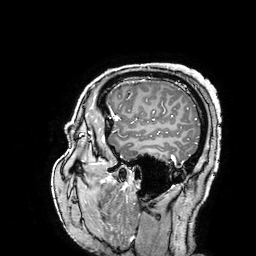
3 Tesla brain MRI. Series: 3D T1-weighted turbo field echo with SENSE. Study: ring-enhancing brain masses.